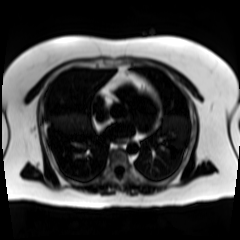
Summary:
Chemical-shift-encoded cardiac MRI.